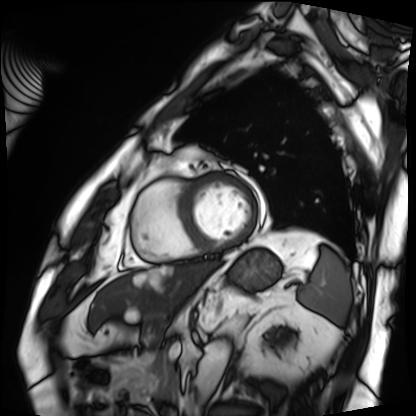
  modality: cardiac MRI
  cohort: patient